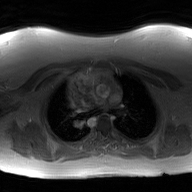
Case:
– modality — 2D phase-contrast cine MRI of the ascending aorta, GAN super-resolution reconstruction